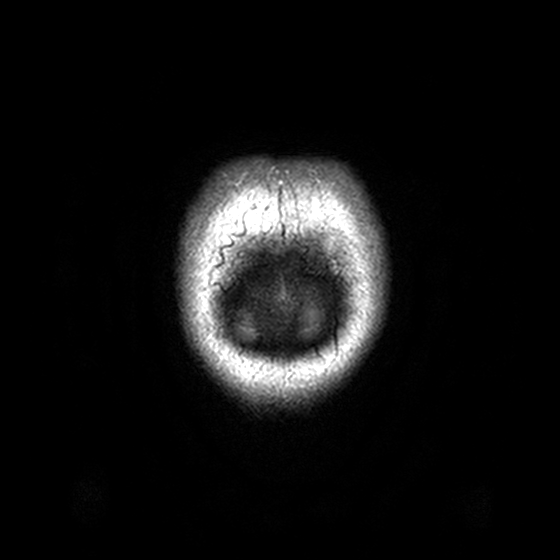
3 Tesla brain MRI. Series: T2-weighted turbo spin echo, 3 mm. Study: ring-enhancing brain masses.